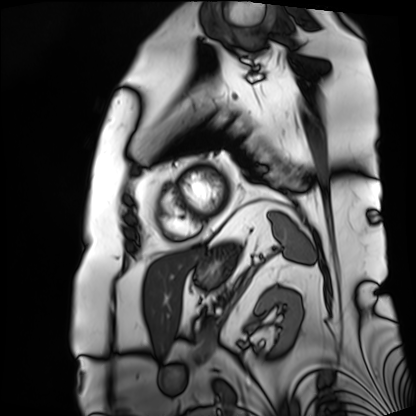
Cardiac MRI. Subject group: patient.